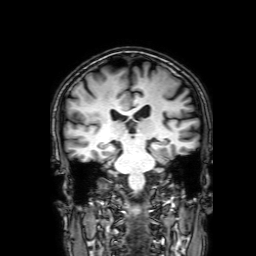
modality = 3 Tesla brain MRI; series = 3D T1-weighted with SENSE; study = ring-enhancing brain masses.